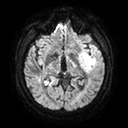
3 Tesla brain MRI.
Series: diffusion tensor imaging (medium iso).
Study: ring-enhancing brain masses.